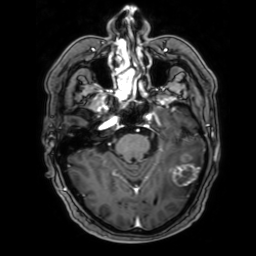
3 Tesla brain MRI.
Series: 3D T1-weighted with SENSE.
Study: ring-enhancing brain masses.